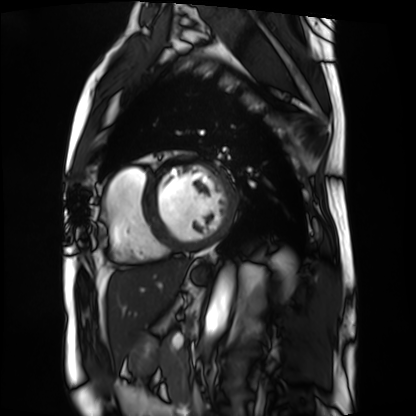
Cardiac MRI.
Subject group: patient.